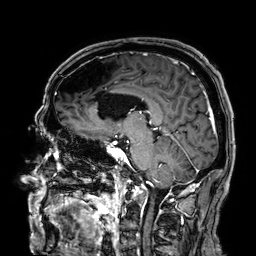
3 Tesla brain MRI.
Series: 3D T1-weighted.
Study: ring-enhancing brain masses.